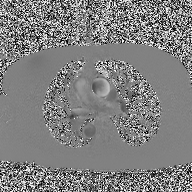
<scan>
<modality>
  <type>2D phase-contrast cine MRI</type>
  <region>ascending aorta</region>
  <reconstruction>high-resolution GRAPPA acquisition</reconstruction>
</modality>
</scan>